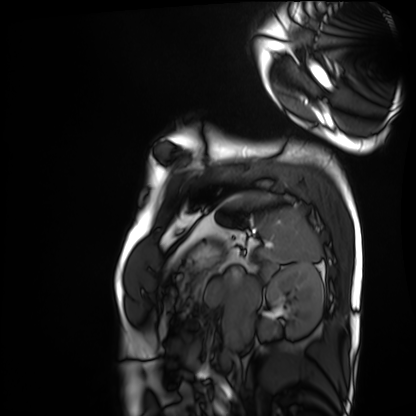
modality: cardiac MRI
cohort: healthy volunteer